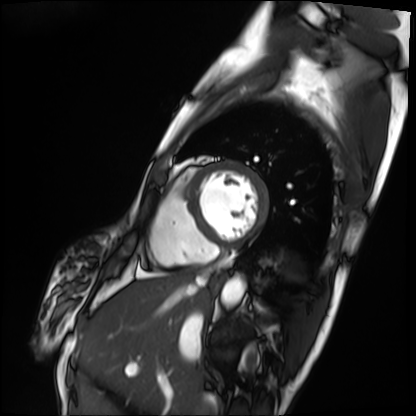
Cardiac MRI.
Subject group: patient.